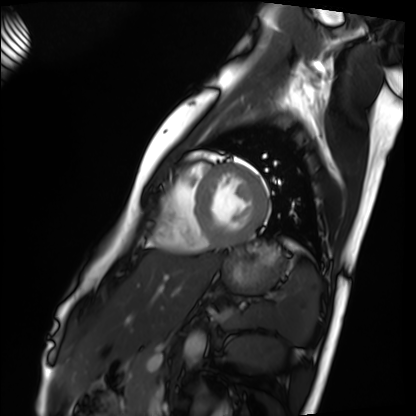
Case summary:
Cardiac MRI. Subject group: healthy volunteer.